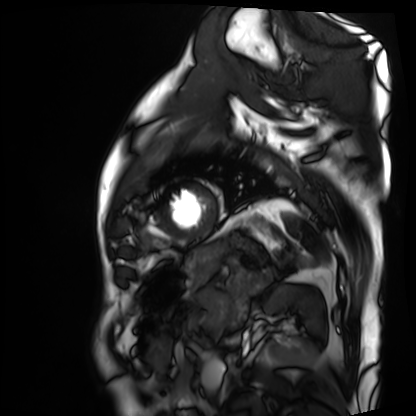
Case:
- modality — cardiac MRI
- subject group — patient